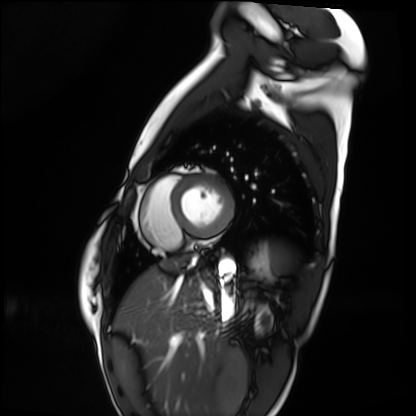
- modality — cardiac MRI
- subject group — healthy volunteer